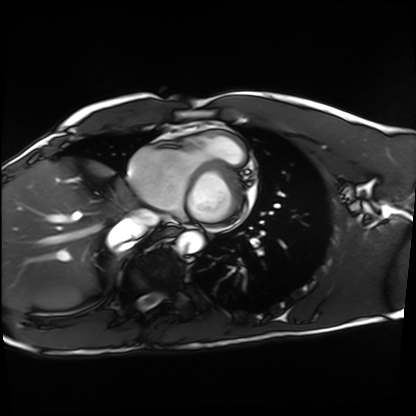
Cardiac MRI. Subject group: healthy volunteer.